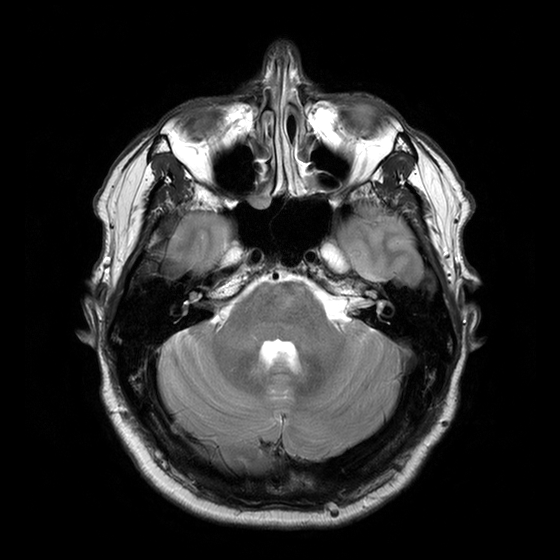
Case:
• modality — 3 Tesla brain MRI
• study — ring-enhancing brain masses